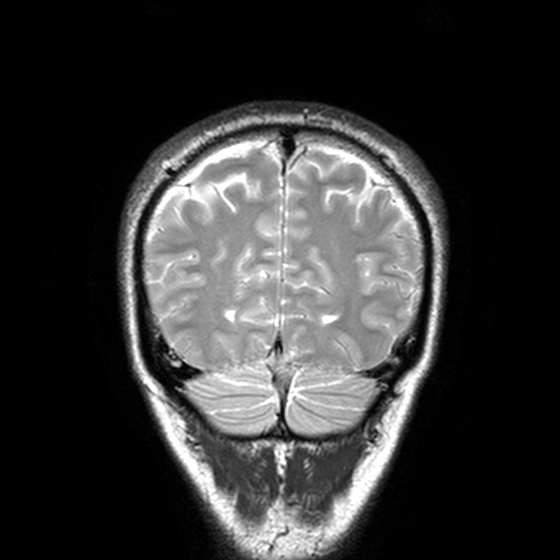
3 Tesla brain MRI. Series: T2-weighted turbo spin echo, 3 mm. Study: ring-enhancing brain masses.